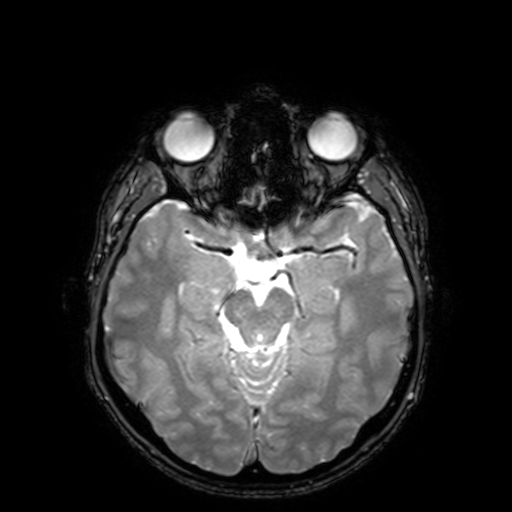
Q: What kind of scan is this?
A: 3 Tesla brain MRI.
Study: ring-enhancing brain masses.